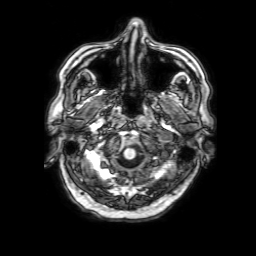
modality: 3 Tesla brain MRI; series: 3D T1-weighted with SENSE; study: ring-enhancing brain masses.